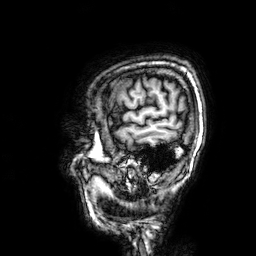
Q: What kind of scan is this?
A: 3 Tesla brain MRI.
Q: Series?
A: 3D T1-weighted.
Study: ring-enhancing brain masses.